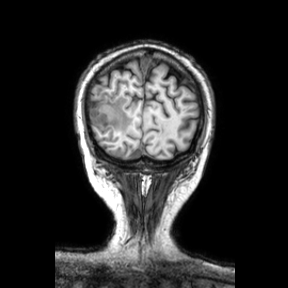
3 Tesla brain MRI. Series: coronal. Study: ring-enhancing brain masses.